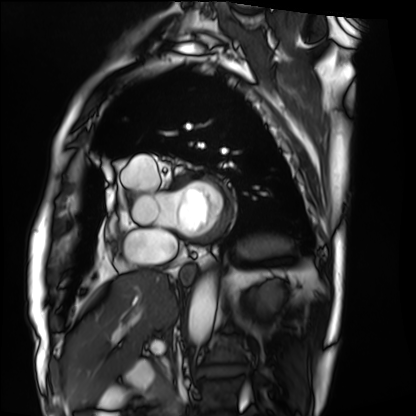
{
  "modality": "cardiac MRI",
  "cohort": "patient"
}